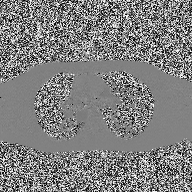
– modality: 2D phase-contrast cine MRI of the ascending aorta